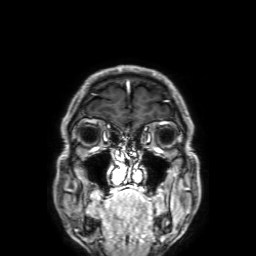
modality:
  type: brain MRI
  field_strength: 3T
series: 3D T1-weighted with SENSE
study_topic: ring-enhancing brain masses